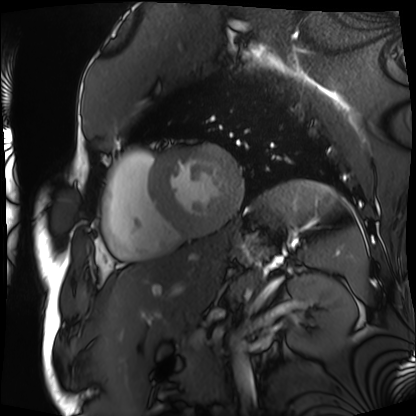
{
  "modality": "cardiac MRI",
  "cohort": "patient"
}